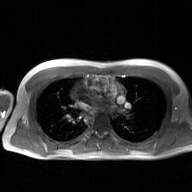
• modality: 2D phase-contrast cine MRI of the ascending aorta, GAN super-resolution reconstruction